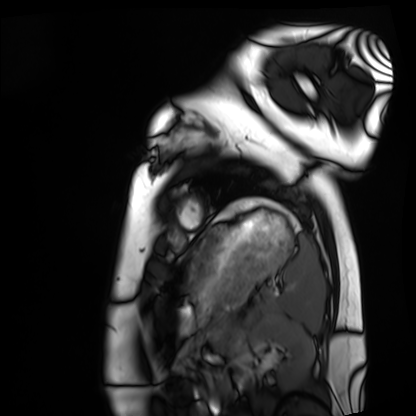
{"modality": "cardiac MRI", "cohort": "healthy volunteer"}